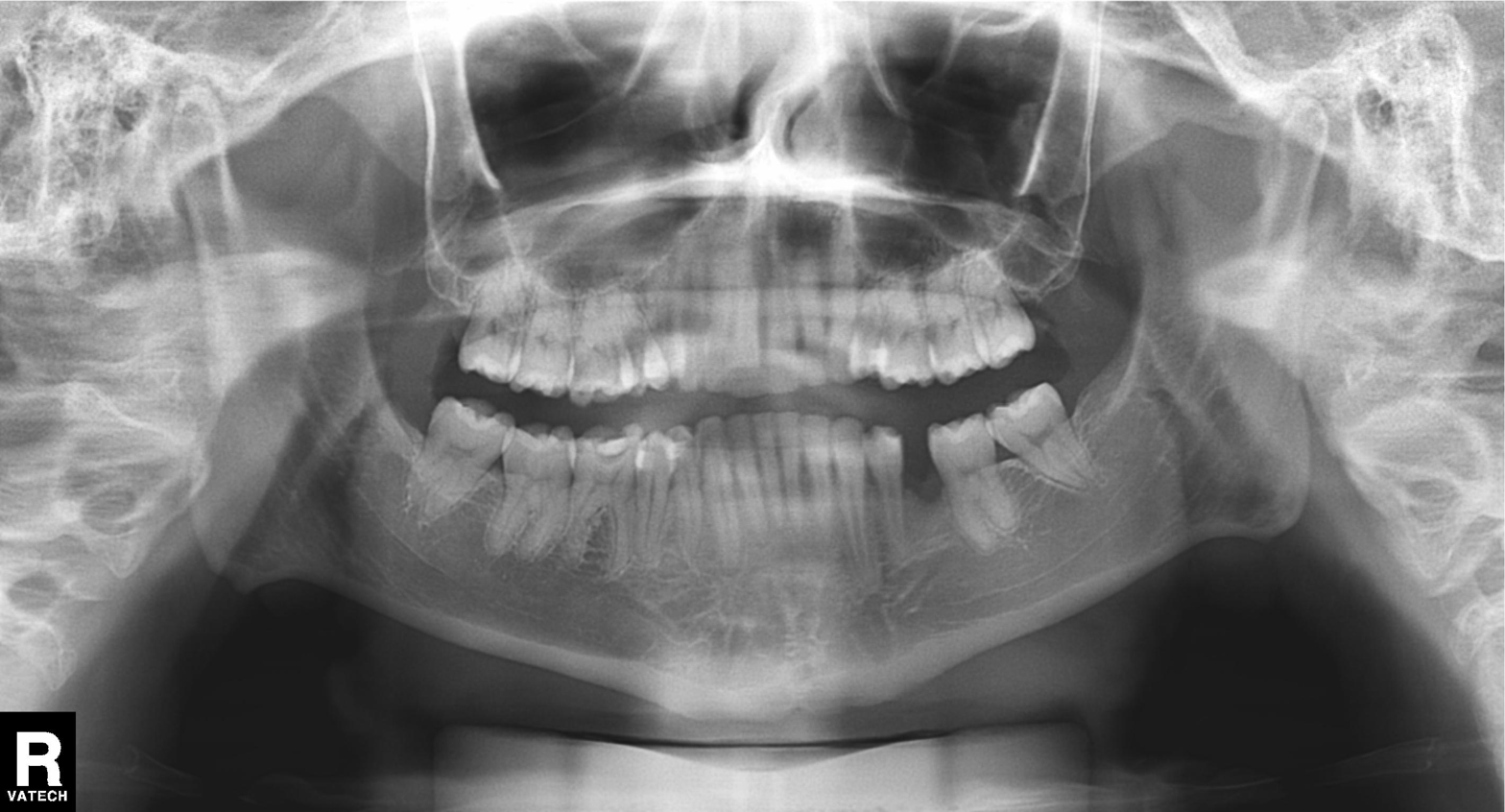
Panoramic dental radiograph (orthopantomogram).
Finding: alveolar bone loss.